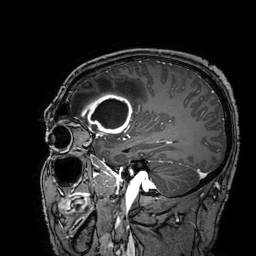
3 Tesla brain MRI.
Study: ring-enhancing brain masses.